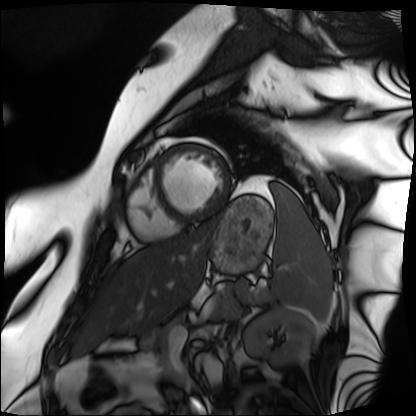
Q: What kind of scan is this?
A: Cardiac MRI.
Subject group: patient.